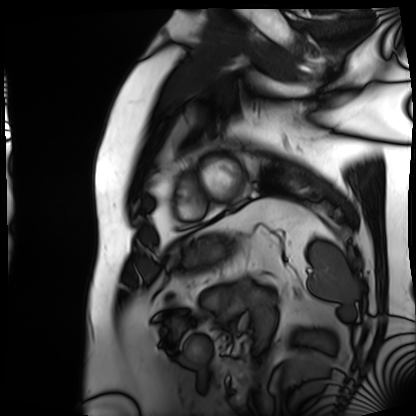
Clinical context:
Cardiac MRI. Subject group: patient.